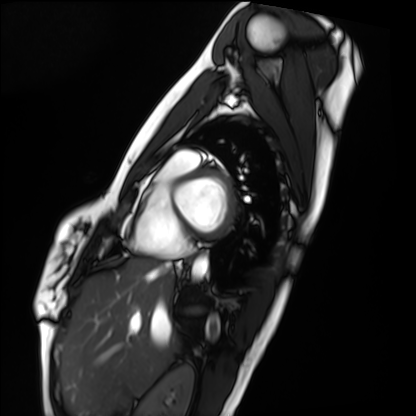
Summary:
Cardiac MRI. Subject group: healthy volunteer.